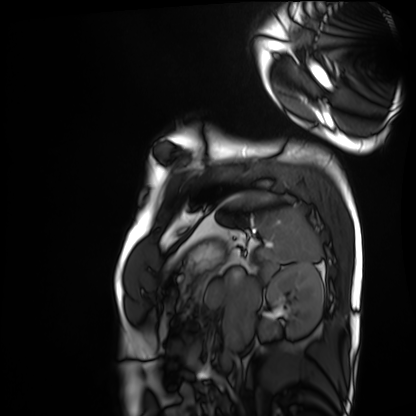
modality = cardiac MRI, subject group = healthy volunteer.